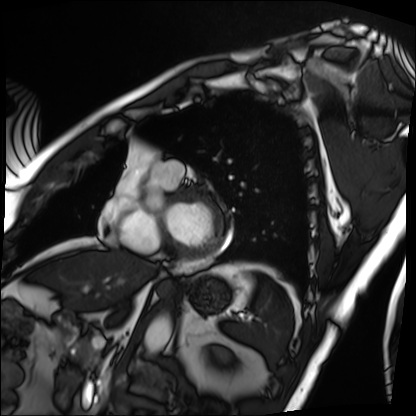
<record>
<modality>cardiac MRI</modality>
<cohort>patient</cohort>
</record>